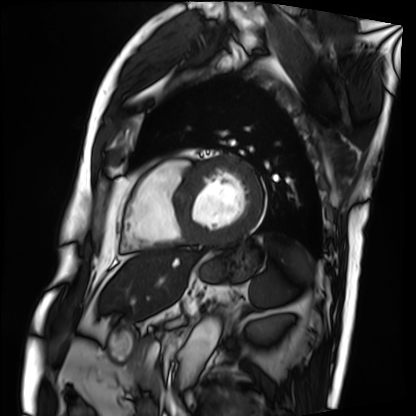
modality: cardiac MRI; subject group: patient.